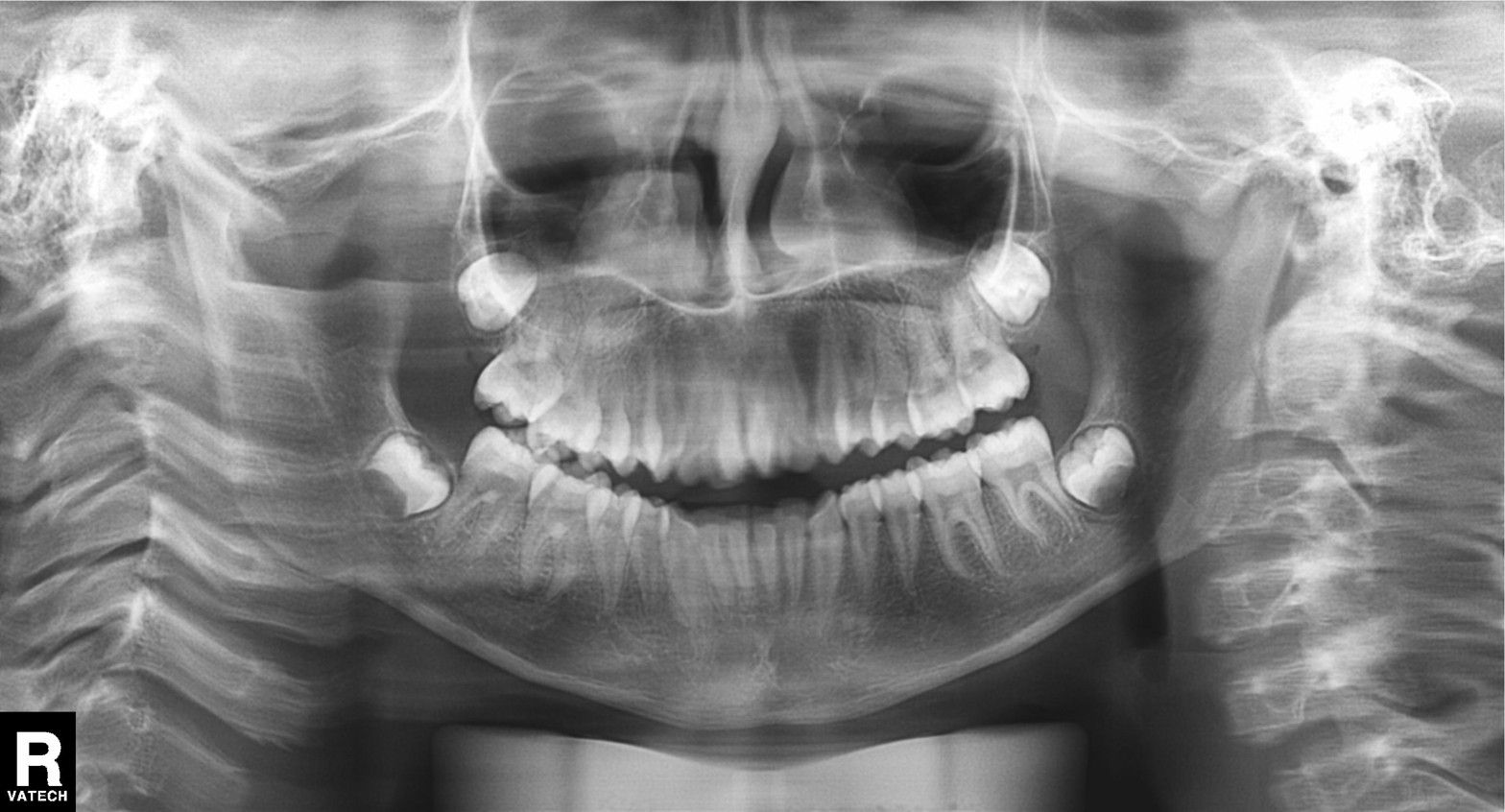
* modality · panoramic dental radiograph (orthopantomogram)
* finding · alveolar bone loss